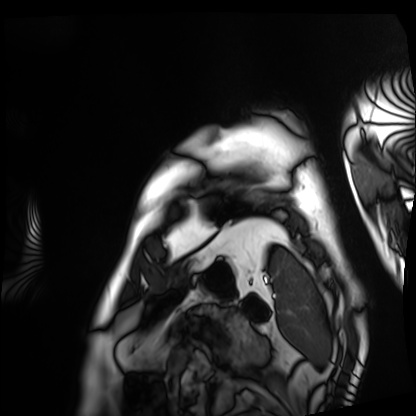
Cardiac MRI.
Subject group: patient.